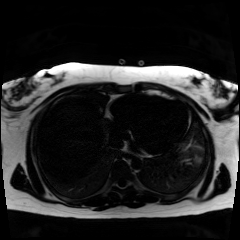
Chemical-shift-encoded cardiac MRI.